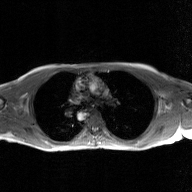
2D phase-contrast cine MRI of the ascending aorta, GAN super-resolution reconstruction.